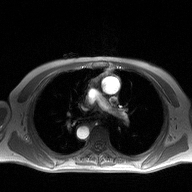
modality: 2D phase-contrast cine MRI of the ascending aorta.